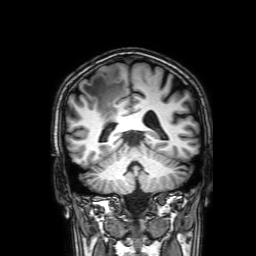
3 Tesla brain MRI.
Series: 3D T1-weighted with SENSE.
Study: ring-enhancing brain masses.